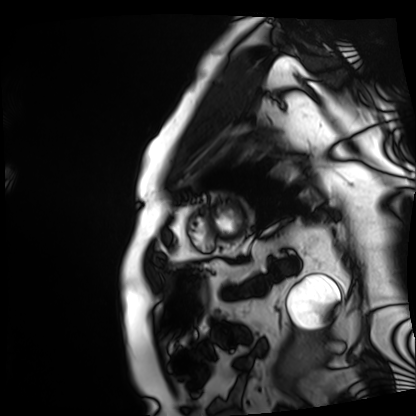
Clinical context:
Cardiac MRI. Subject group: patient.